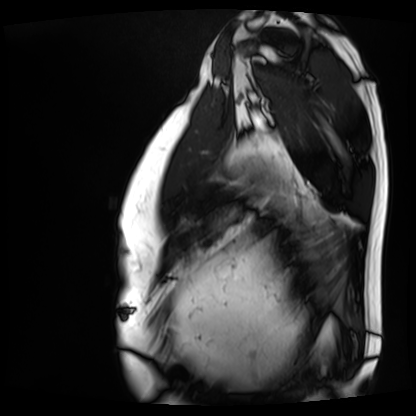
Cardiac MRI.
Subject group: patient.